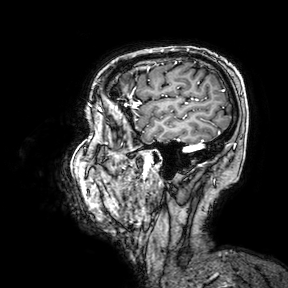
Case:
• modality — 3 Tesla brain MRI
• series — 3D T1-weighted turbo field echo with SENSE
• study — ring-enhancing brain masses